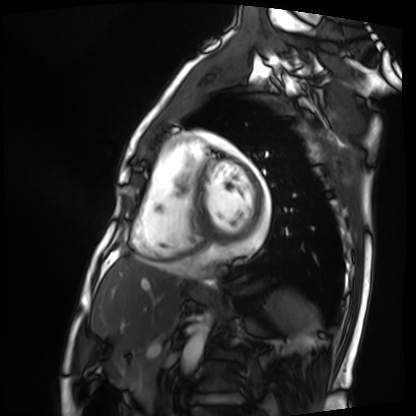
Cardiac MRI. Subject group: patient.